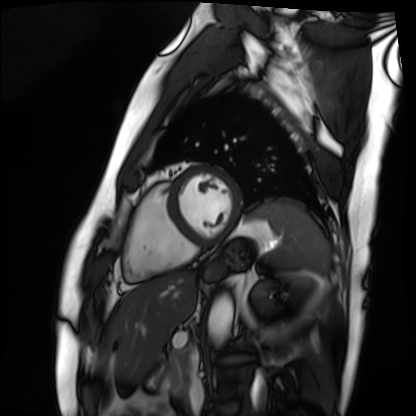
modality: cardiac MRI
subject group: patient